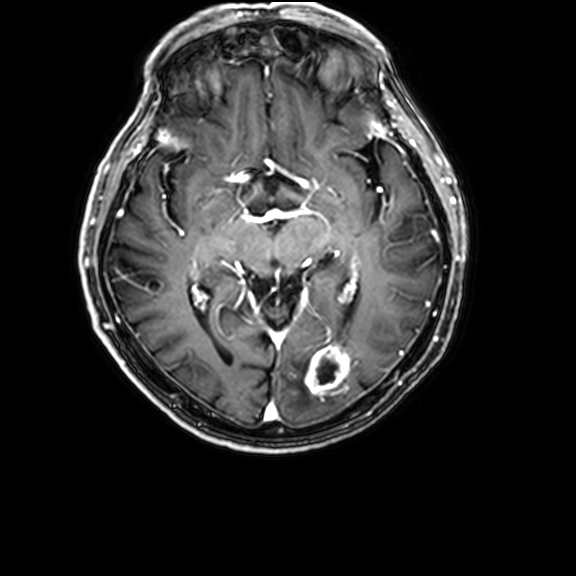
3 Tesla brain MRI. Series: 3D T1-weighted with CLEAR. Study: ring-enhancing brain masses.